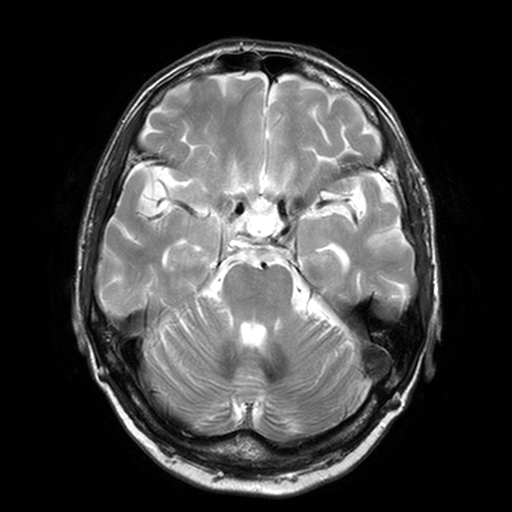
3 Tesla brain MRI. Series: T2-weighted turbo spin echo, 3 mm. Study: ring-enhancing brain masses.